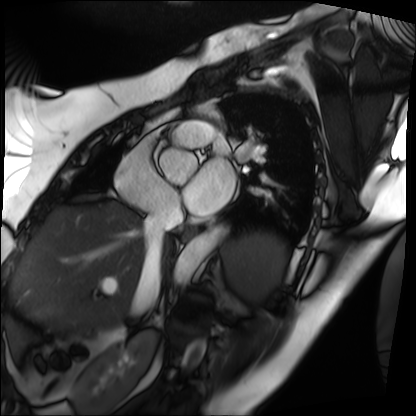
modality: cardiac MRI
subject group: patient